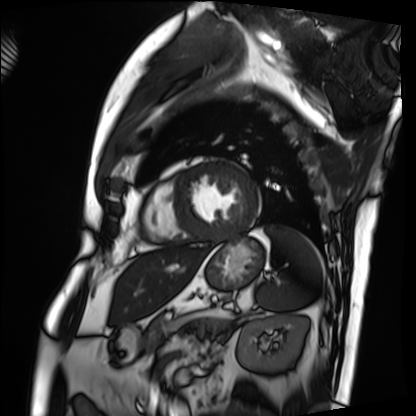
• modality: cardiac MRI
• subject group: patient